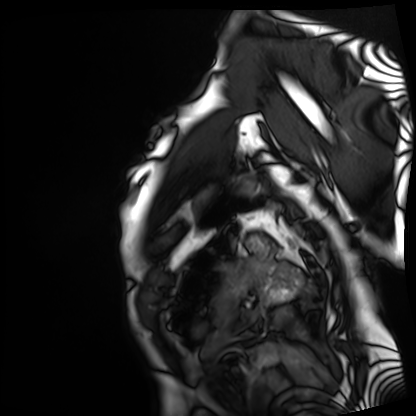
Summary:
Cardiac MRI. Subject group: patient.